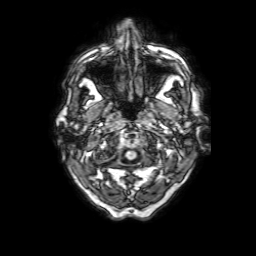
Case:
- modality — 3 Tesla brain MRI
- series — 3D T1-weighted with SENSE
- study — ring-enhancing brain masses